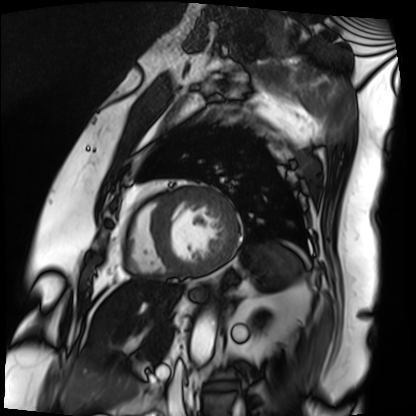
Cardiac MRI.
Subject group: patient.